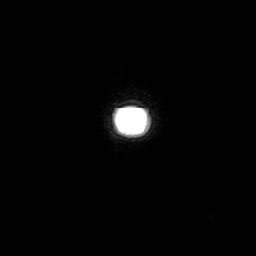
modality = 3 Tesla brain MRI; series = 3D T1-weighted with SENSE; study = ring-enhancing brain masses.